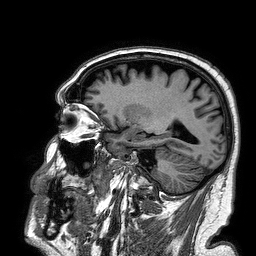
3 Tesla brain MRI. Series: 3D T1-weighted turbo field echo. Study: ring-enhancing brain masses.